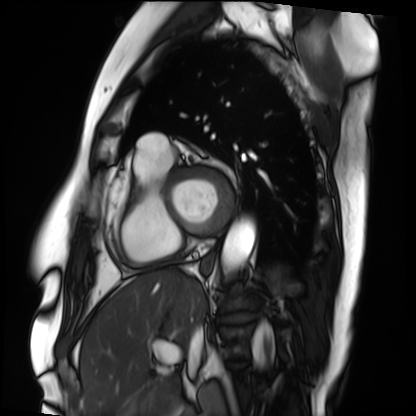
Summary:
Cardiac MRI. Subject group: patient.